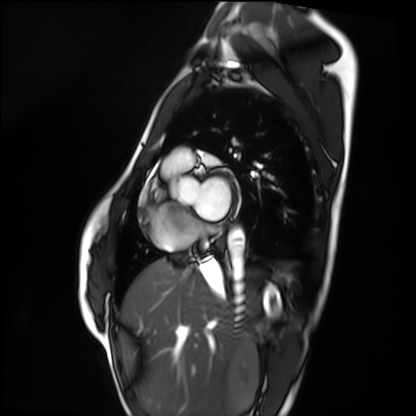
Q: What kind of scan is this?
A: Cardiac MRI.
Subject group: healthy volunteer.